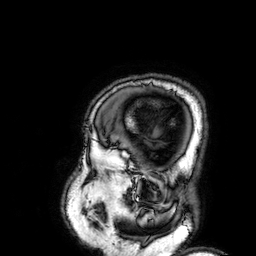
Clinical context:
3 Tesla brain MRI. Series: 3D T1-weighted. Study: ring-enhancing brain masses.